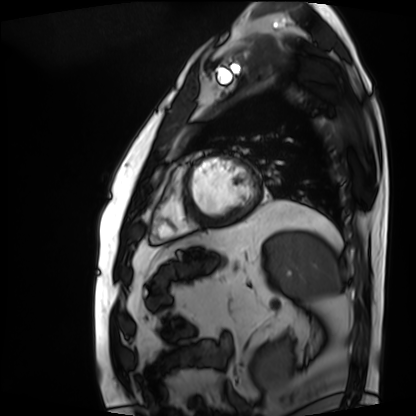
{"modality": "cardiac MRI", "cohort": "patient"}